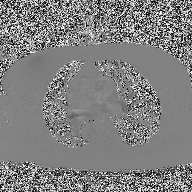
| field | value |
|---|---|
| modality | 2D phase-contrast cine MRI of the ascending aorta |